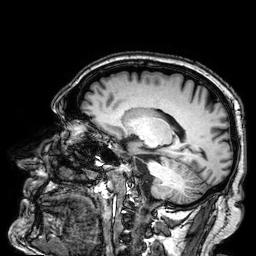
3 Tesla brain MRI. Series: 3D T1-weighted. Study: ring-enhancing brain masses.